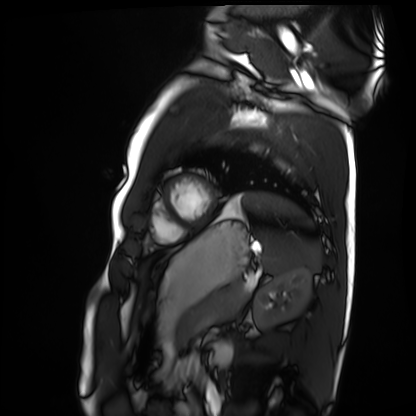
Q: What kind of scan is this?
A: Cardiac MRI.
Subject group: healthy volunteer.